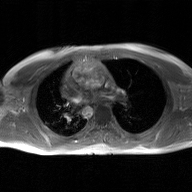
2D phase-contrast cine MRI of the ascending aorta, GAN super-resolution reconstruction.